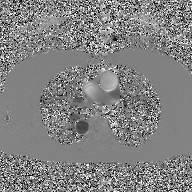
modality = 2D phase-contrast cine MRI of the ascending aorta, GAN super-resolution reconstruction.